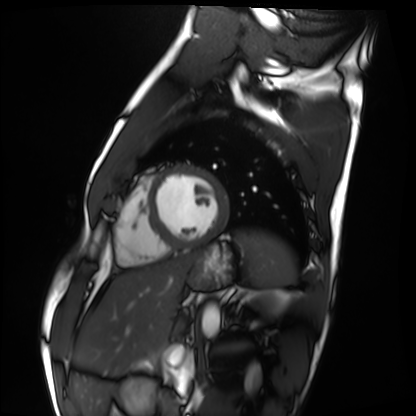
modality = cardiac MRI; subject group = healthy volunteer.